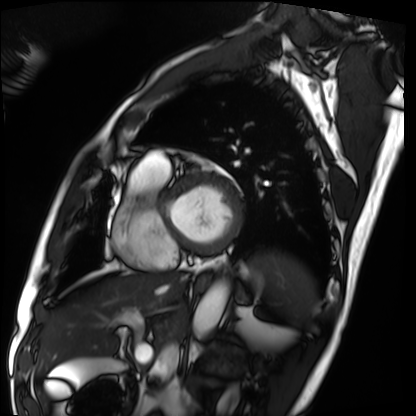
| field | value |
|---|---|
| modality | cardiac MRI |
| subject group | patient |